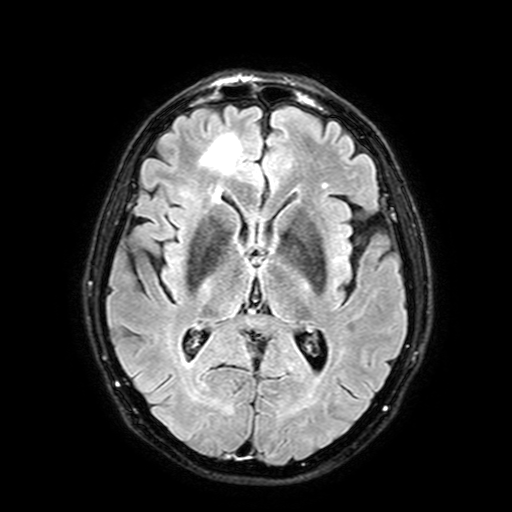
{
  "modality": {
    "type": "brain MRI",
    "field_strength": "3T"
  },
  "series": "FLAIR with SPAIR, 3 mm",
  "study_topic": "ring-enhancing brain masses"
}